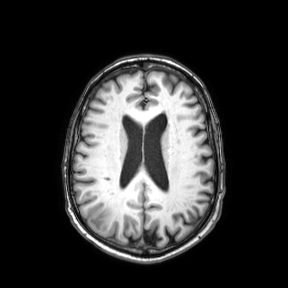
3 Tesla brain MRI. Series: axial. Study: ring-enhancing brain masses.